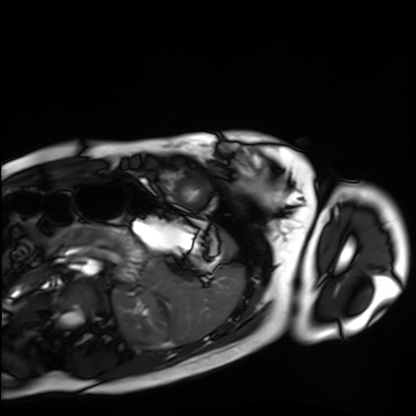
Case summary:
Cardiac MRI. Subject group: healthy volunteer.